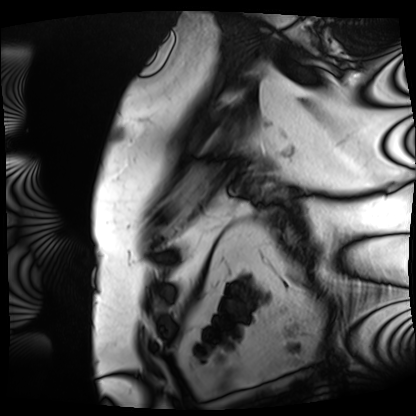
Summary: Cardiac MRI. Subject group: patient.